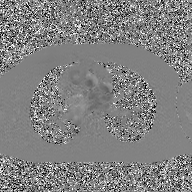
Q: What kind of scan is this?
A: 2D phase-contrast cine MRI of the ascending aorta, GAN super-resolution reconstruction.